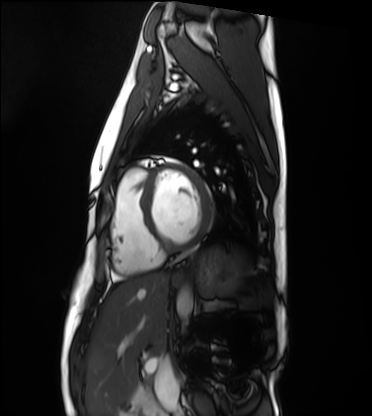
Cardiac MRI. Subject group: healthy volunteer.